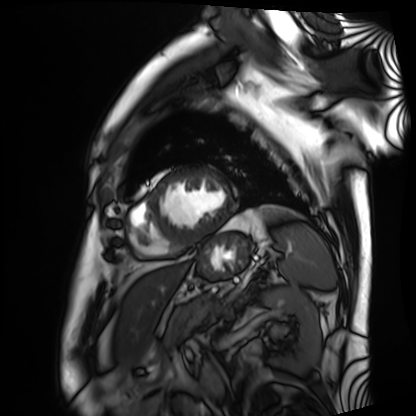
- modality — cardiac MRI
- subject group — patient